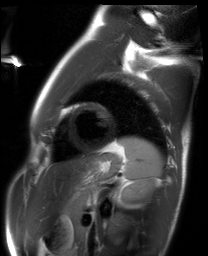
Cardiac MRI.
Subject group: healthy volunteer.